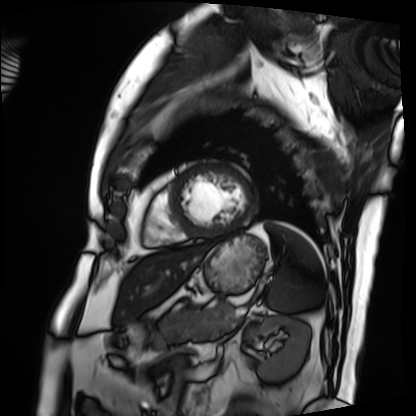
Cardiac MRI.
Subject group: patient.